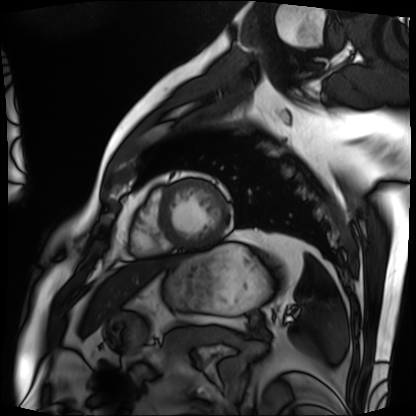
Case summary:
Cardiac MRI. Subject group: patient.